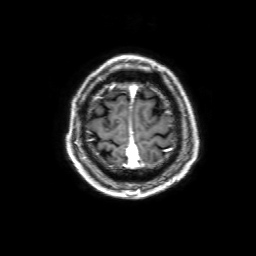
{"modality": {"type": "brain MRI", "field_strength": "3T"}, "series": "3D T1-weighted with SENSE", "study_topic": "ring-enhancing brain masses"}